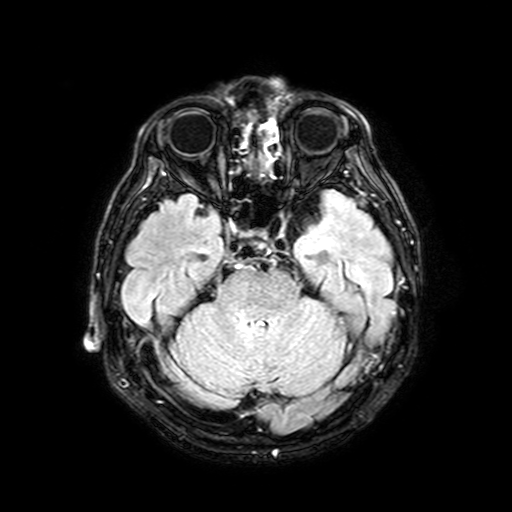
3 Tesla brain MRI. Series: FLAIR with SPAIR, 3 mm. Study: ring-enhancing brain masses.